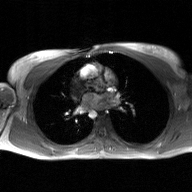
2D phase-contrast cine MRI of the ascending aorta, GAN super-resolution reconstruction.